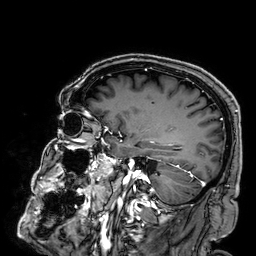
Case summary: 3 Tesla brain MRI. Series: 3D T1-weighted. Study: ring-enhancing brain masses.